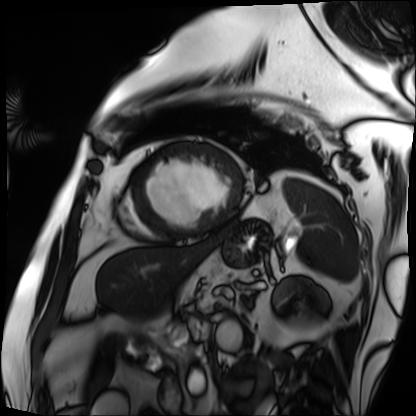
Cardiac MRI.
Subject group: patient.